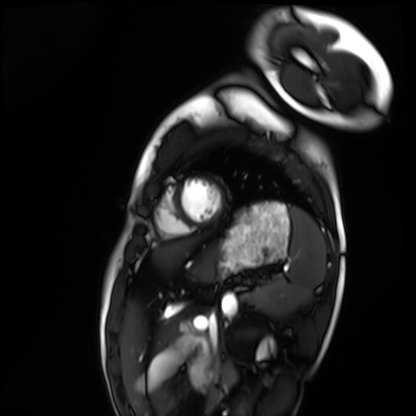
<case>
<modality>cardiac MRI</modality>
<cohort>healthy volunteer</cohort>
</case>